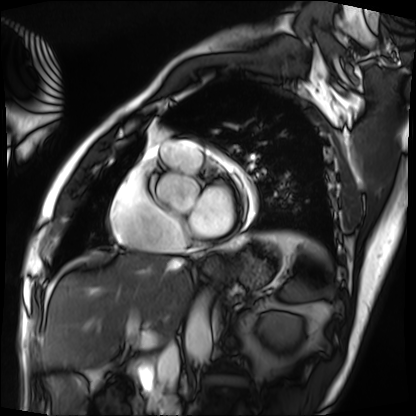
modality = cardiac MRI, subject group = patient.